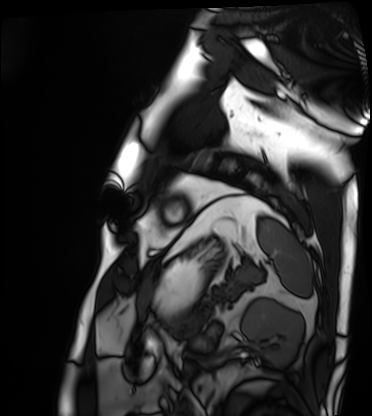
{
  "modality": "cardiac MRI",
  "cohort": "patient"
}